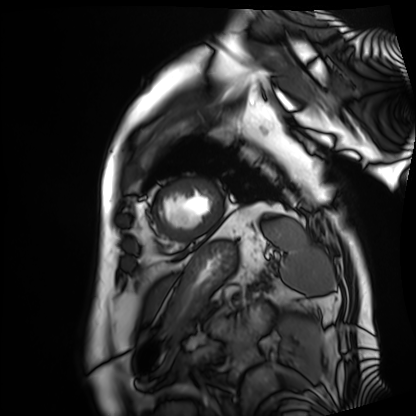
Q: What kind of scan is this?
A: Cardiac MRI.
Subject group: patient.